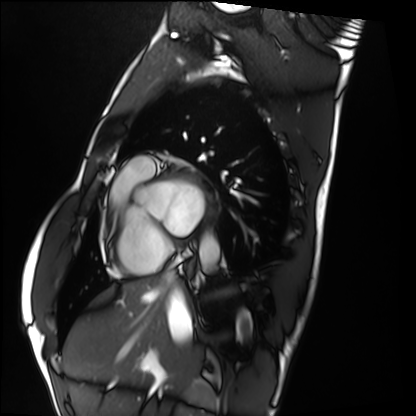
| field | value |
|---|---|
| modality | cardiac MRI |
| subject group | healthy volunteer |